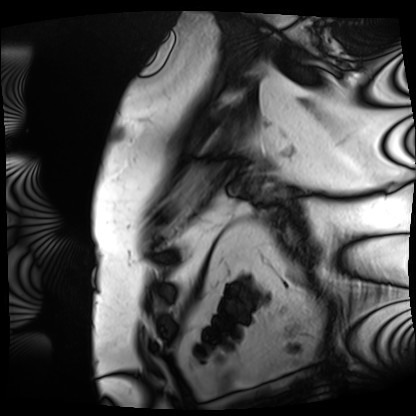
modality = cardiac MRI; subject group = patient.